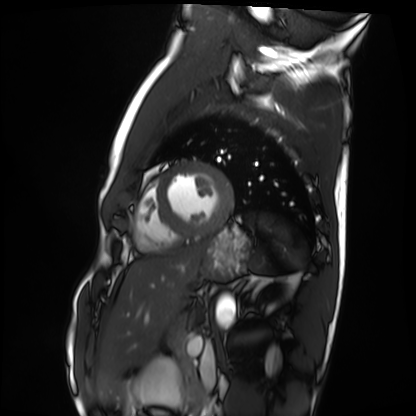
Cardiac MRI. Subject group: healthy volunteer.